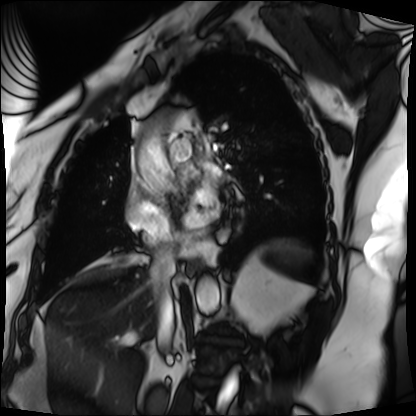
Cardiac MRI. Subject group: patient.